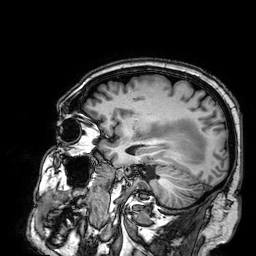
{
  "modality": {
    "type": "brain MRI",
    "field_strength": "3T"
  },
  "series": "3D T1-weighted",
  "study_topic": "ring-enhancing brain masses"
}